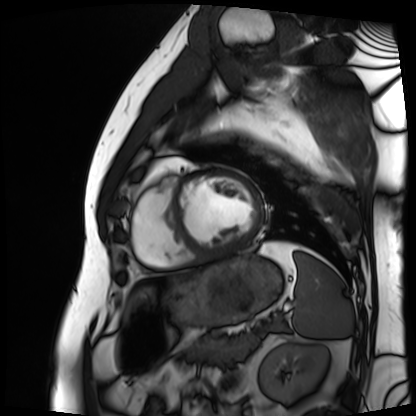
modality = cardiac MRI
subject group = patient